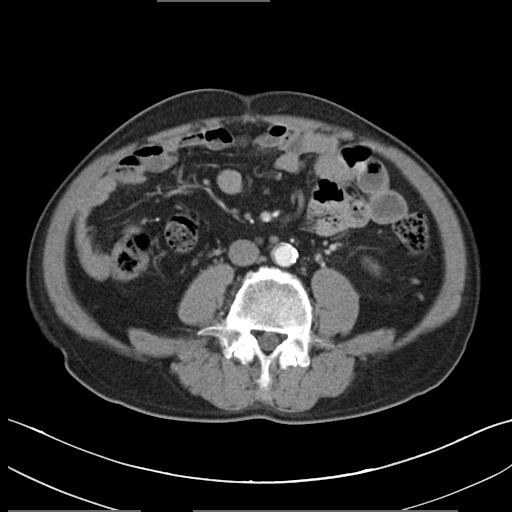
modality: multiphase abdominal CT, liver, arterial phase
patient: male, age 58
history: viral hepatitis